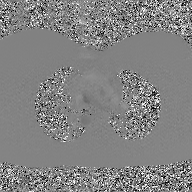
| field | value |
|---|---|
| modality | 2D phase-contrast cine MRI of the ascending aorta, GAN super-resolution reconstruction |